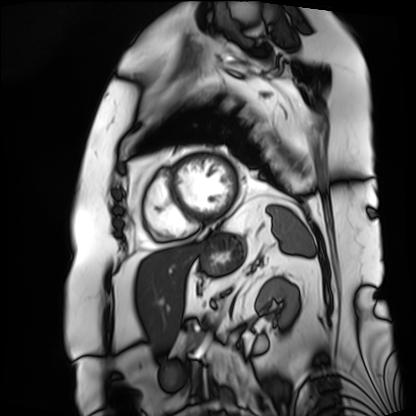
Cardiac MRI. Subject group: patient.